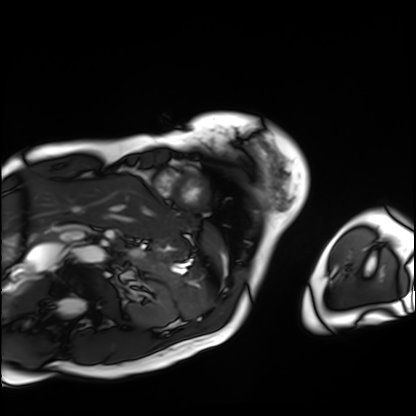
modality = cardiac MRI; subject group = patient.